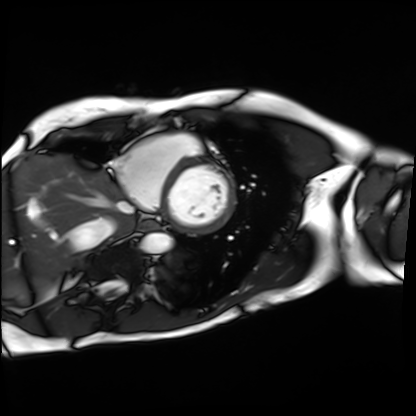
| field | value |
|---|---|
| modality | cardiac MRI |
| subject group | patient |